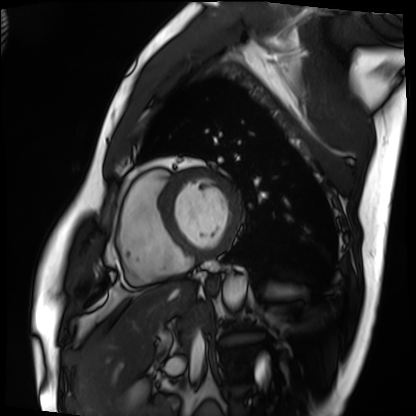
modality: cardiac MRI | subject group: patient.